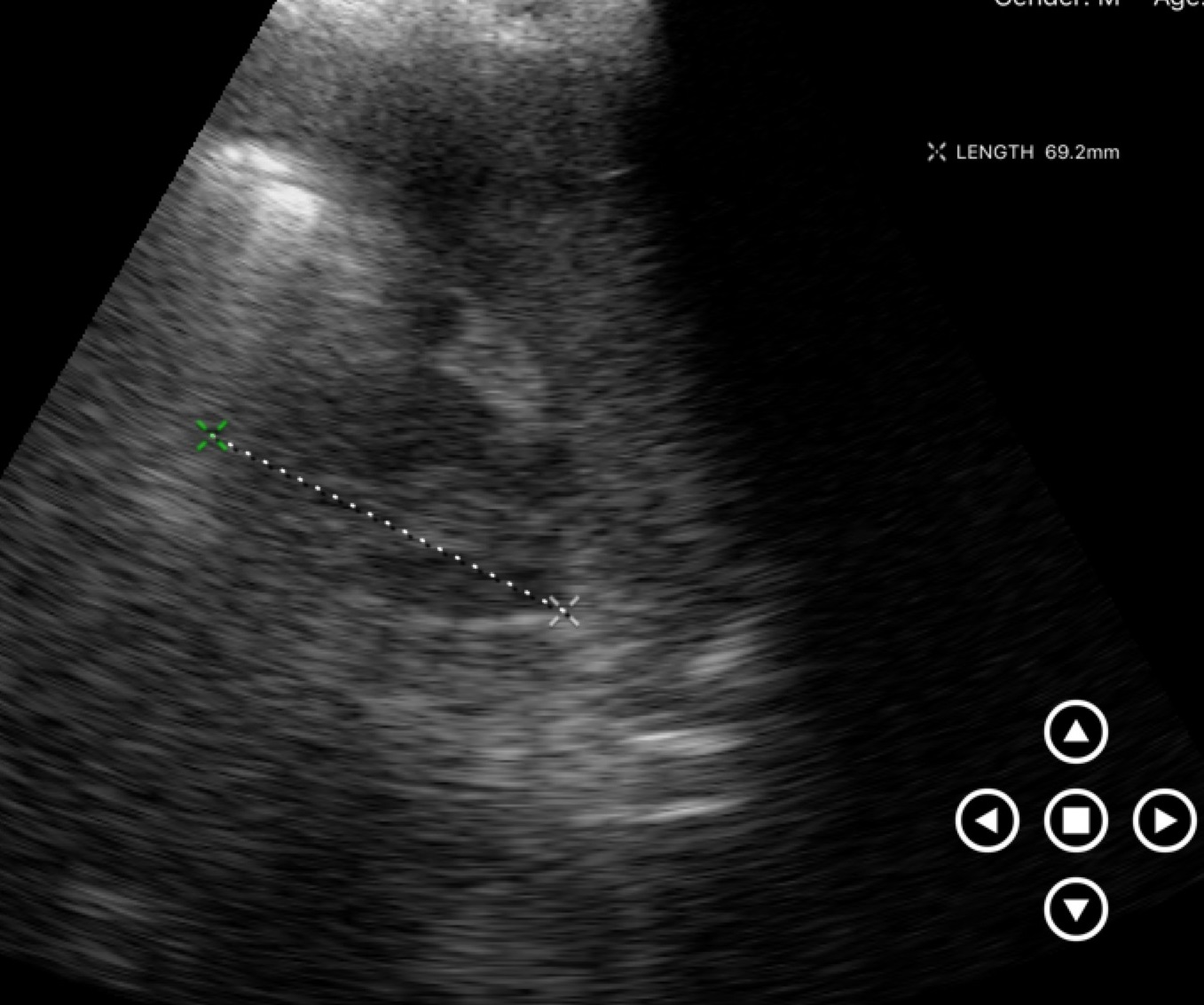
Genitourinary ultrasound.